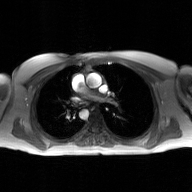
2D phase-contrast cine MRI of the ascending aorta, GAN super-resolution reconstruction.